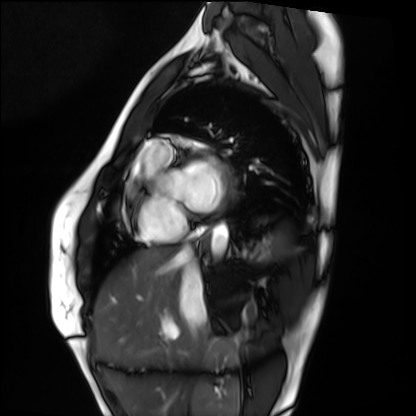
Case:
– modality — cardiac MRI
– subject group — healthy volunteer